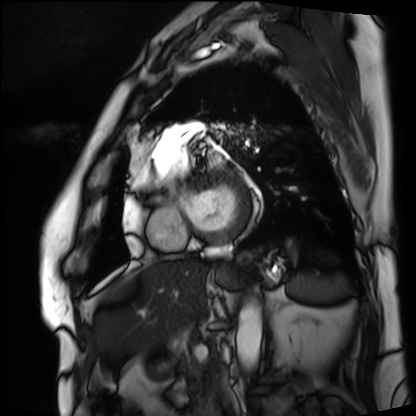
modality — cardiac MRI
subject group — patient